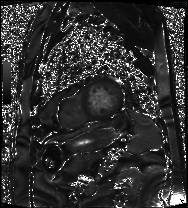
| field | value |
|---|---|
| modality | cardiac MRI |
| subject group | patient |